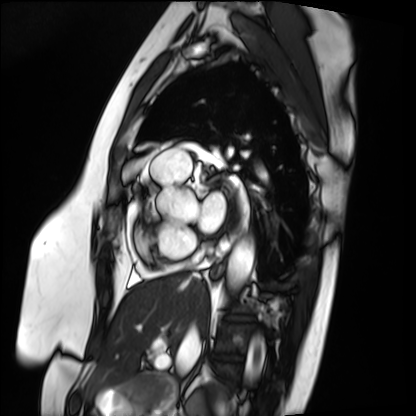
  modality: cardiac MRI
  cohort: patient